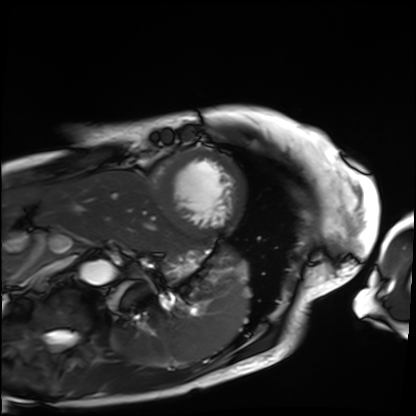
modality: cardiac MRI, subject group: patient.